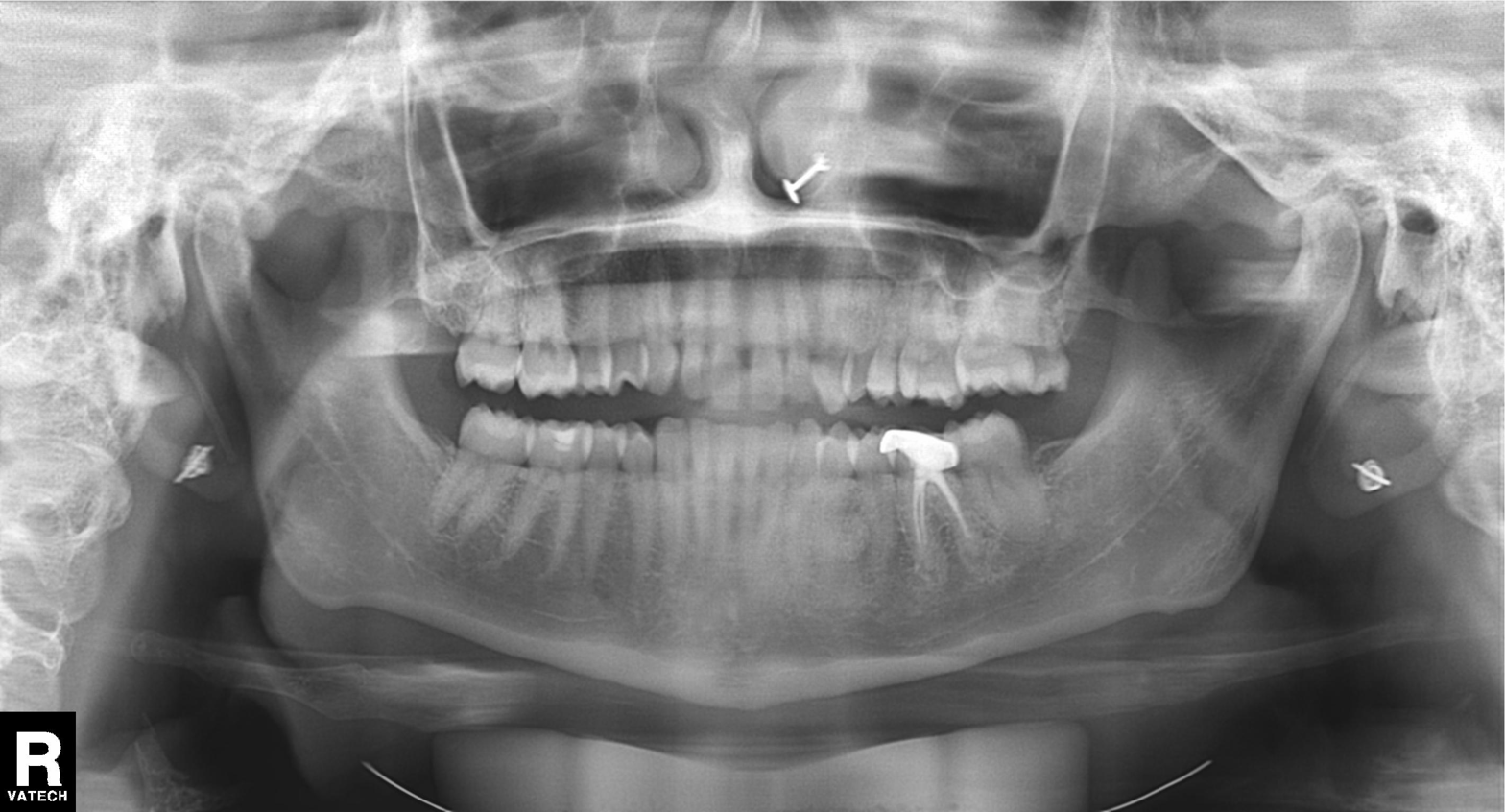
Findings:
• modality · panoramic dental radiograph (orthopantomogram)
• finding · dental caries (cavities)